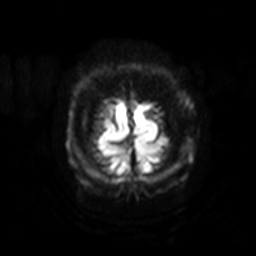
modality: 3 Tesla brain MRI | series: diffusion-weighted imaging with SENSE (WIP) | study: ring-enhancing brain masses.